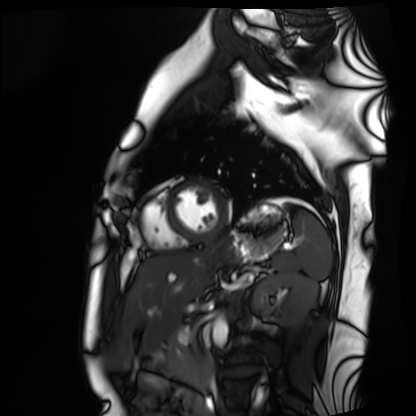
• modality: cardiac MRI
• subject group: healthy volunteer